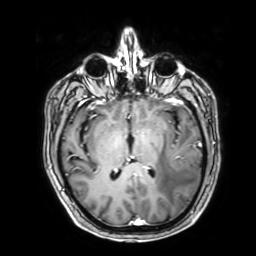
| field | value |
|---|---|
| modality | 3 Tesla brain MRI |
| series | 3D T1-weighted with SENSE |
| study | ring-enhancing brain masses |